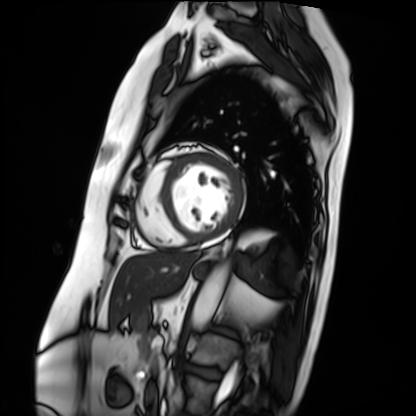
Cardiac MRI. Subject group: patient.